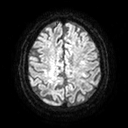
3 Tesla brain MRI. Series: diffusion tensor imaging (medium iso). Study: ring-enhancing brain masses.